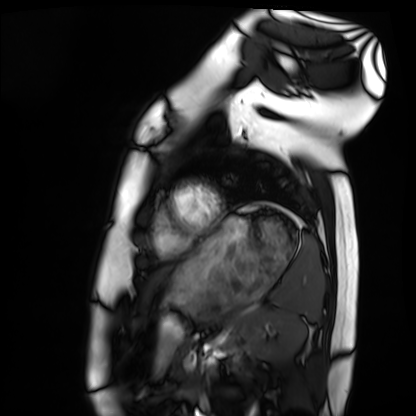
Cardiac MRI. Subject group: healthy volunteer.